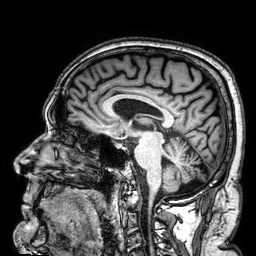
modality:
  type: brain MRI
  field_strength: 3T
series: 3D T1-weighted
study_topic: ring-enhancing brain masses